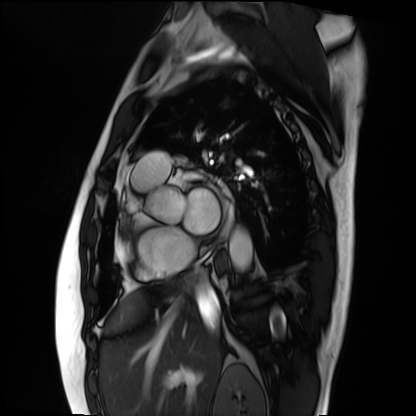
Q: What kind of scan is this?
A: Cardiac MRI.
Subject group: patient.